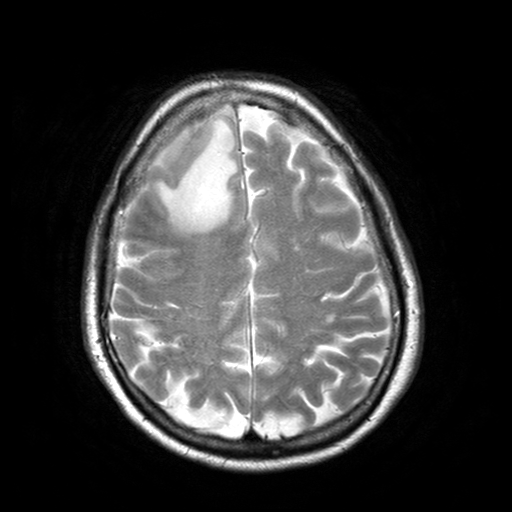
modality: 3 Tesla brain MRI | series: T2-weighted turbo spin echo with SENSE | study: ring-enhancing brain masses.